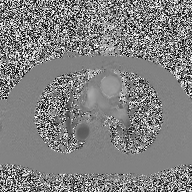
  modality:
    type: 2D phase-contrast cine MRI
    region: ascending aorta
    reconstruction: high-resolution GRAPPA acquisition